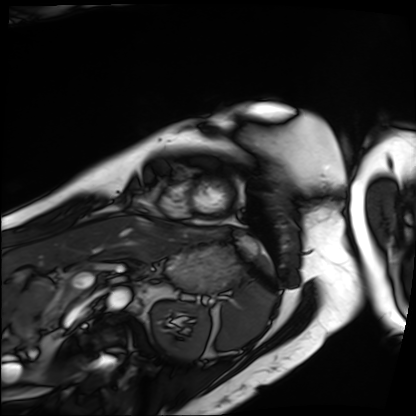
{
  "modality": "cardiac MRI",
  "cohort": "patient"
}